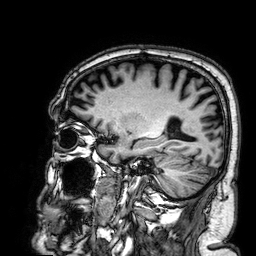
  modality:
    type: brain MRI
    field_strength: 3T
  series: 3D T1-weighted
  study_topic: ring-enhancing brain masses